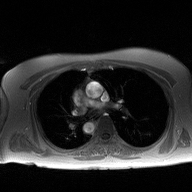
Q: What kind of scan is this?
A: 2D phase-contrast cine MRI of the ascending aorta.